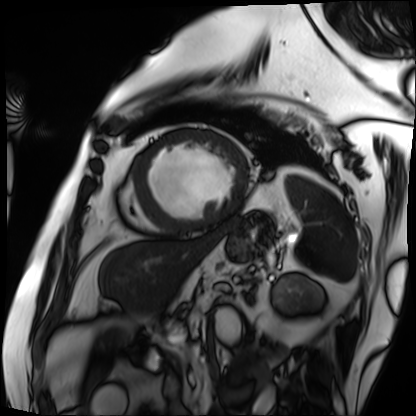
Case summary: Cardiac MRI. Subject group: patient.